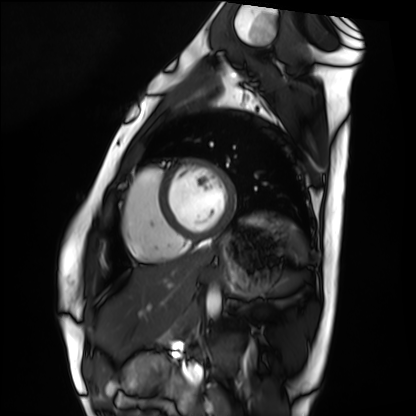
<record>
<modality>cardiac MRI</modality>
<cohort>healthy volunteer</cohort>
</record>